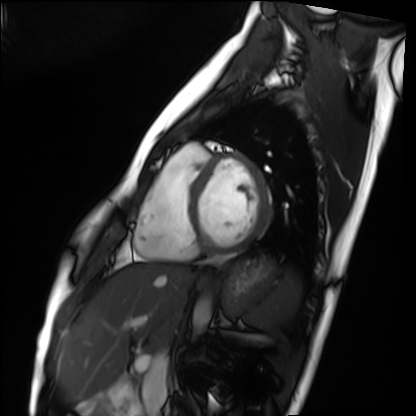
Cardiac MRI.
Subject group: healthy volunteer.